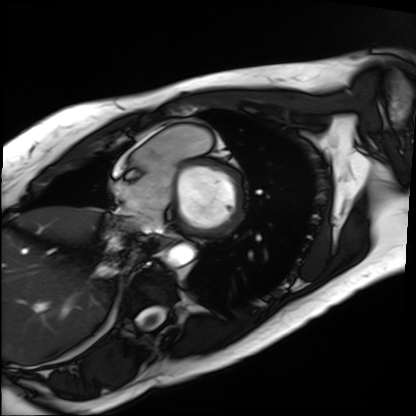
Summary:
Cardiac MRI. Subject group: patient.